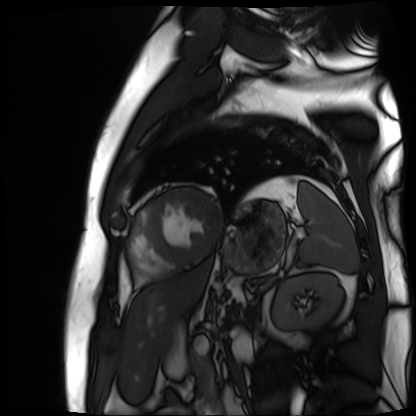
Cardiac MR image of the myocardium.
Subject cohort: cardiac patient.